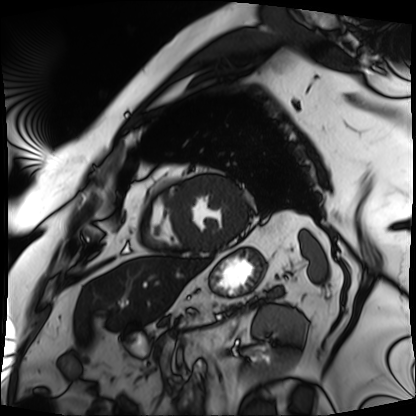
modality: cardiac MRI | subject group: patient.